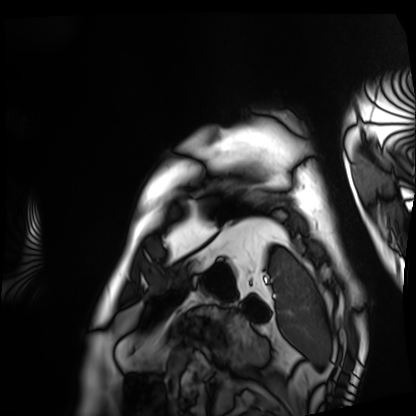
Cardiac MRI. Subject group: patient.